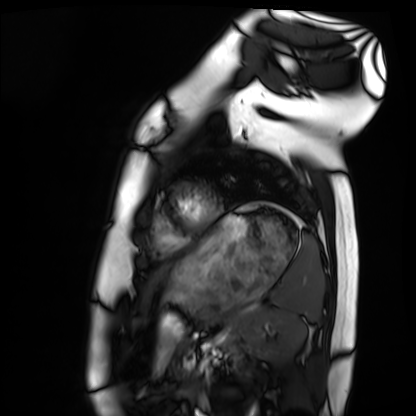
Cardiac MRI.
Subject group: healthy volunteer.